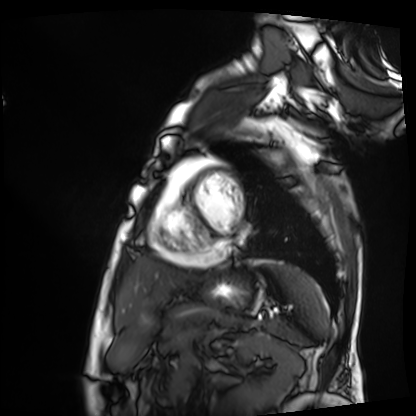
{
  "modality": "cardiac MRI",
  "cohort": "patient"
}